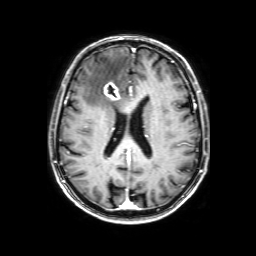
Case summary: 3 Tesla brain MRI. Series: 3D T1-weighted with SENSE. Study: ring-enhancing brain masses.